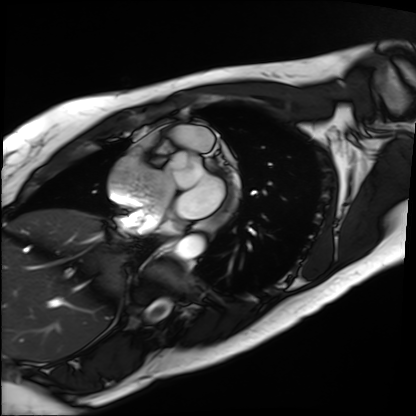
modality: cardiac MRI | subject group: patient.